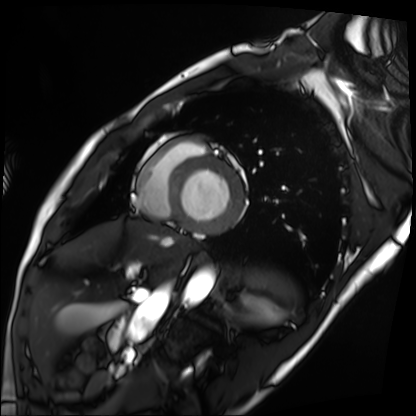
modality = cardiac MRI; subject group = patient.